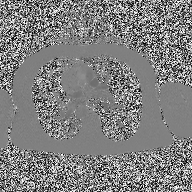
2D phase-contrast cine MRI of the ascending aorta, high-resolution GRAPPA acquisition.